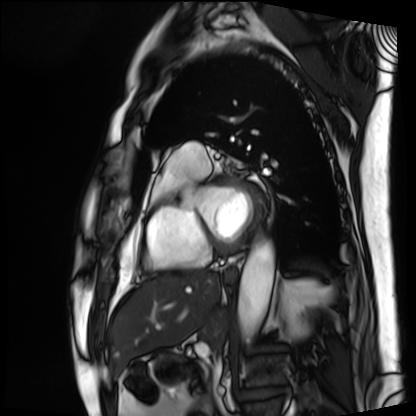
modality: cardiac MRI | subject group: patient.